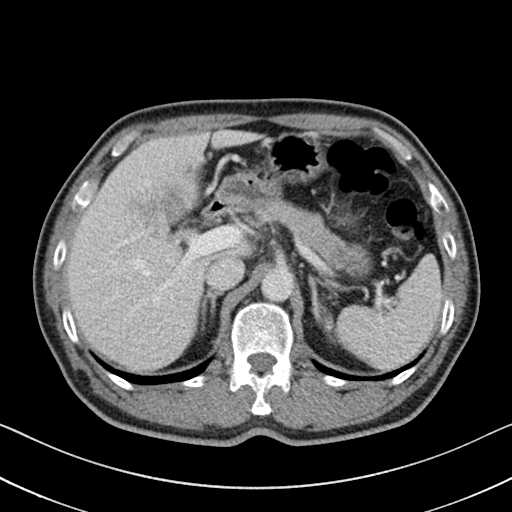
{
  "modality": {
    "type": "multiphase abdominal CT",
    "region": "liver",
    "phase": "portal venous"
  },
  "patient": {
    "sex": "male",
    "age": 54
  }
}